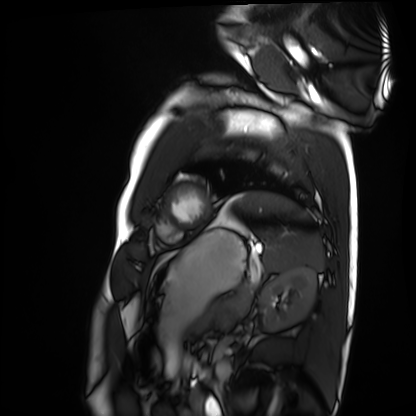
Cardiac MRI. Subject group: healthy volunteer.